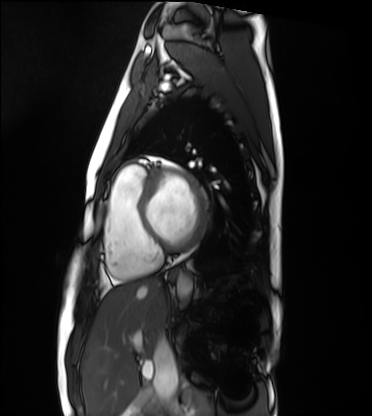
Cardiac MRI.
Subject group: healthy volunteer.